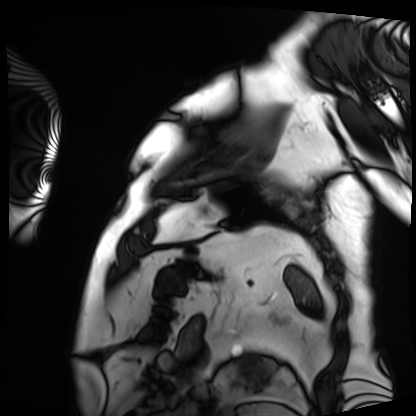
Cardiac MRI. Subject group: patient.